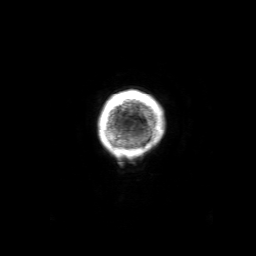
Case summary: 3 Tesla brain MRI. Series: 3D T1-weighted with SENSE. Study: ring-enhancing brain masses.